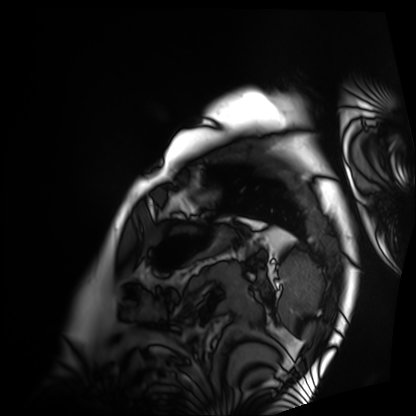
modality: cardiac MRI, subject group: patient.